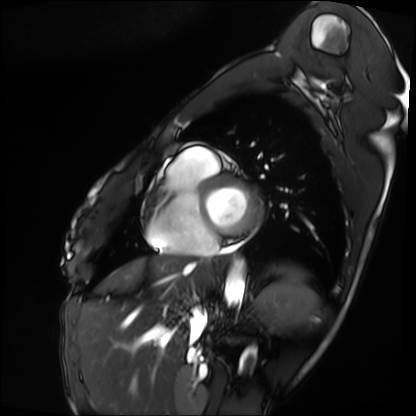
Case:
* modality: cardiac MRI
* subject group: patient